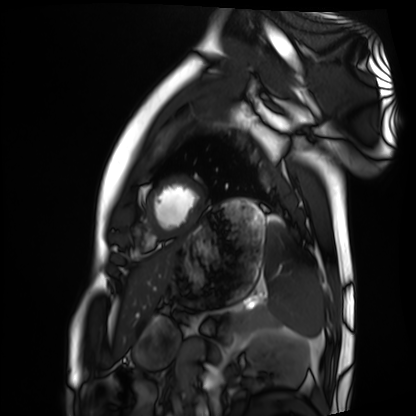
Cardiac MRI. Subject group: healthy volunteer.